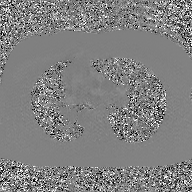
Case summary: 2D phase-contrast cine MRI of the ascending aorta, GAN super-resolution reconstruction.